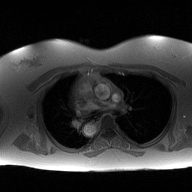
  modality:
    type: 2D phase-contrast cine MRI
    region: ascending aorta
    reconstruction: high-resolution GRAPPA acquisition